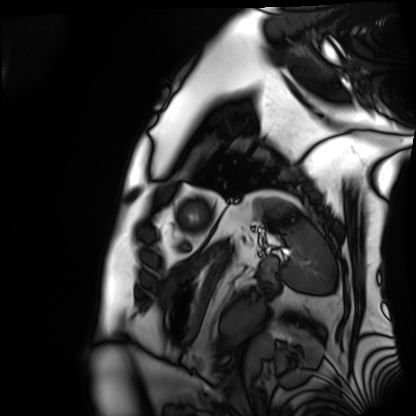
Q: What kind of scan is this?
A: Cardiac MRI.
Subject group: patient.